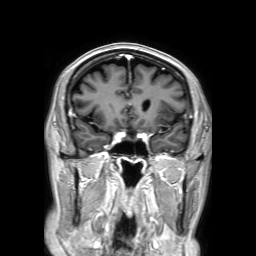
3 Tesla brain MRI.
Series: 3D T1-weighted TFE with SENSE.
Study: ring-enhancing brain masses.